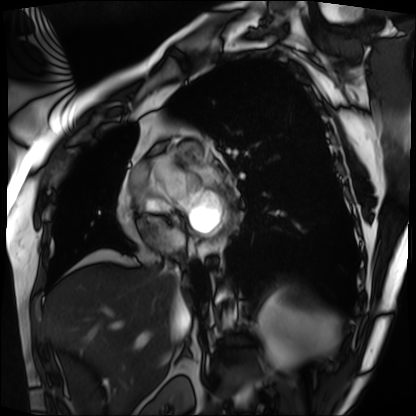
<study>
  <modality>cardiac MRI</modality>
  <cohort>patient</cohort>
</study>